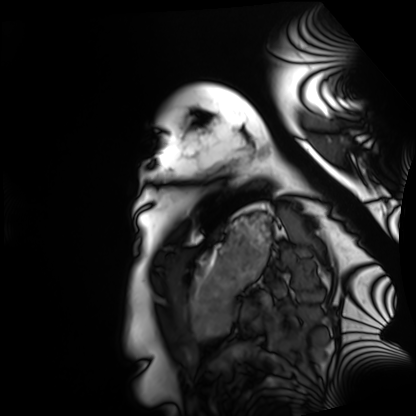
| field | value |
|---|---|
| modality | cardiac MRI |
| subject group | healthy volunteer |